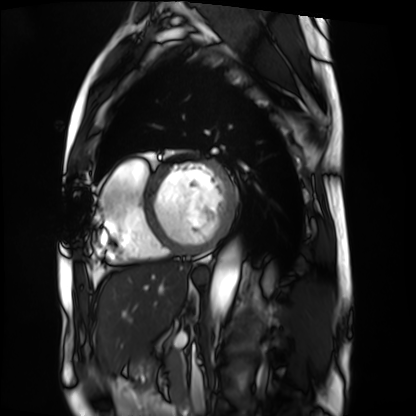
Cardiac MRI. Subject group: patient.